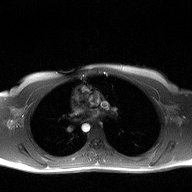
Case:
• modality: 2D phase-contrast cine MRI of the ascending aorta